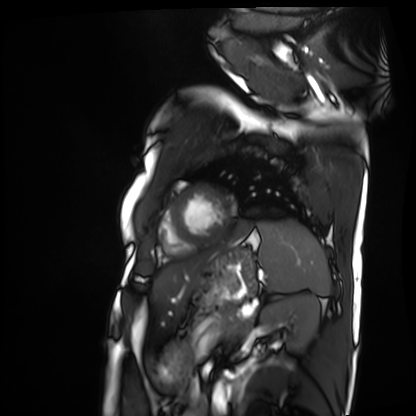
modality = cardiac MRI; subject group = patient.